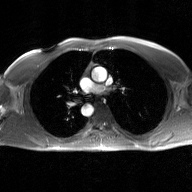
{
  "modality": {
    "type": "2D phase-contrast cine MRI",
    "region": "ascending aorta",
    "reconstruction": "GAN super-resolution reconstruction"
  }
}